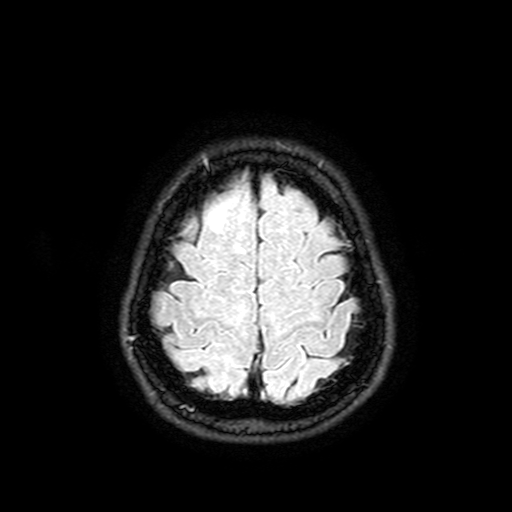
<study>
  <modality>
    <type>brain MRI</type>
    <field_strength>3T</field_strength>
  </modality>
  <series>FLAIR with SPAIR, 3 mm</series>
  <study_topic>ring-enhancing brain masses</study_topic>
</study>